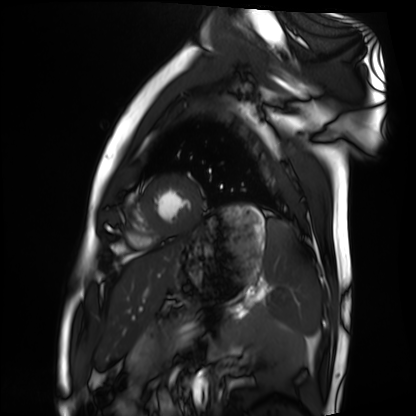
* modality — cardiac MRI
* subject group — healthy volunteer